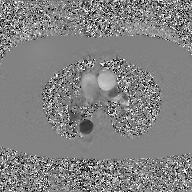
modality = 2D phase-contrast cine MRI of the ascending aorta, GAN super-resolution reconstruction.